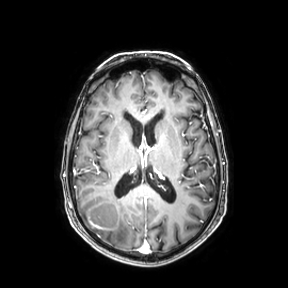
3 Tesla brain MRI.
Series: axial.
Study: ring-enhancing brain masses.